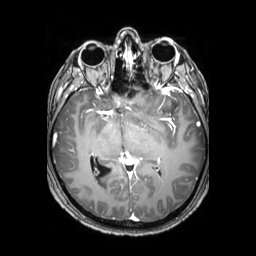
3 Tesla brain MRI.
Series: 3D T1-weighted TFE with SENSE.
Study: ring-enhancing brain masses.